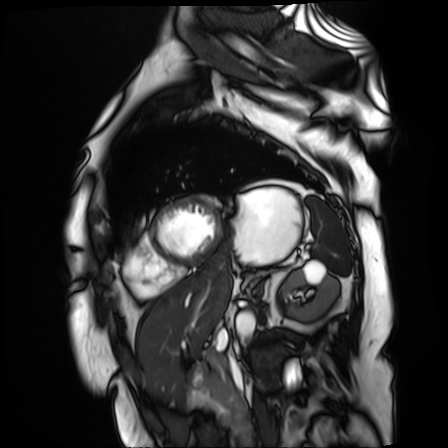
Cardiac MR image of the myocardium.
Subject cohort: cardiac patient.